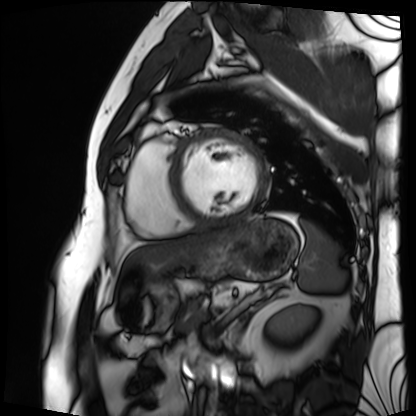
Summary: Cardiac MRI. Subject group: patient.